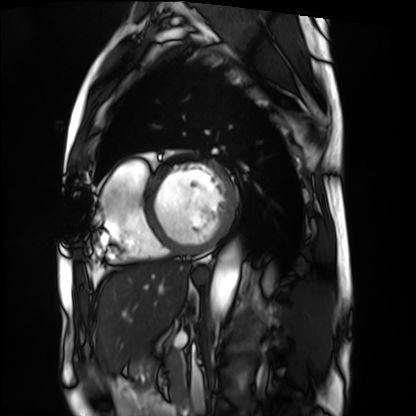
<study>
  <modality>cardiac MRI</modality>
  <cohort>patient</cohort>
</study>